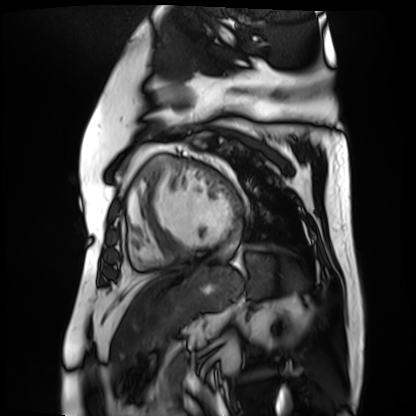
<case>
<modality>cardiac MR image of the myocardium</modality>
<cohort>cardiac patient</cohort>
</case>